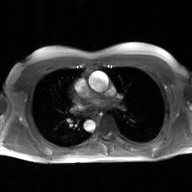
modality: 2D phase-contrast cine MRI of the ascending aorta, GAN super-resolution reconstruction.